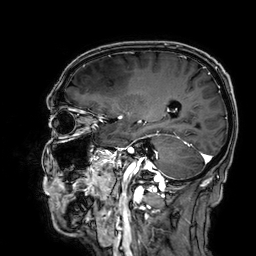
- modality: 3 Tesla brain MRI
- series: 3D T1-weighted
- study: ring-enhancing brain masses